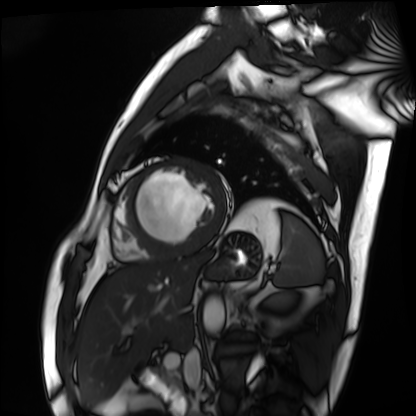
Summary:
Cardiac MRI. Subject group: patient.